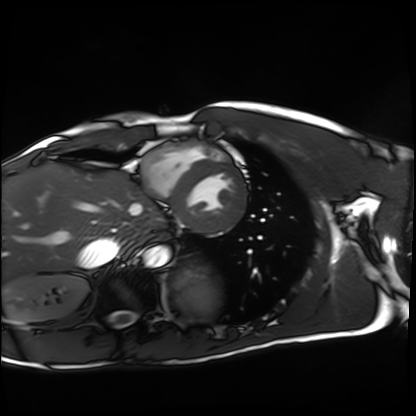
{
  "modality": "cardiac MRI",
  "cohort": "healthy volunteer"
}